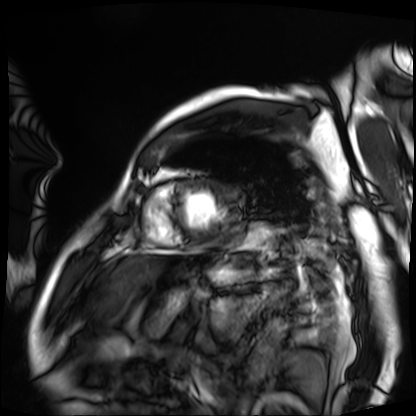
Clinical context: Cardiac MRI. Subject group: patient.